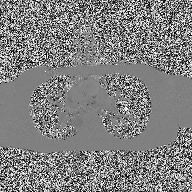
Case:
- modality — 2D phase-contrast cine MRI of the ascending aorta